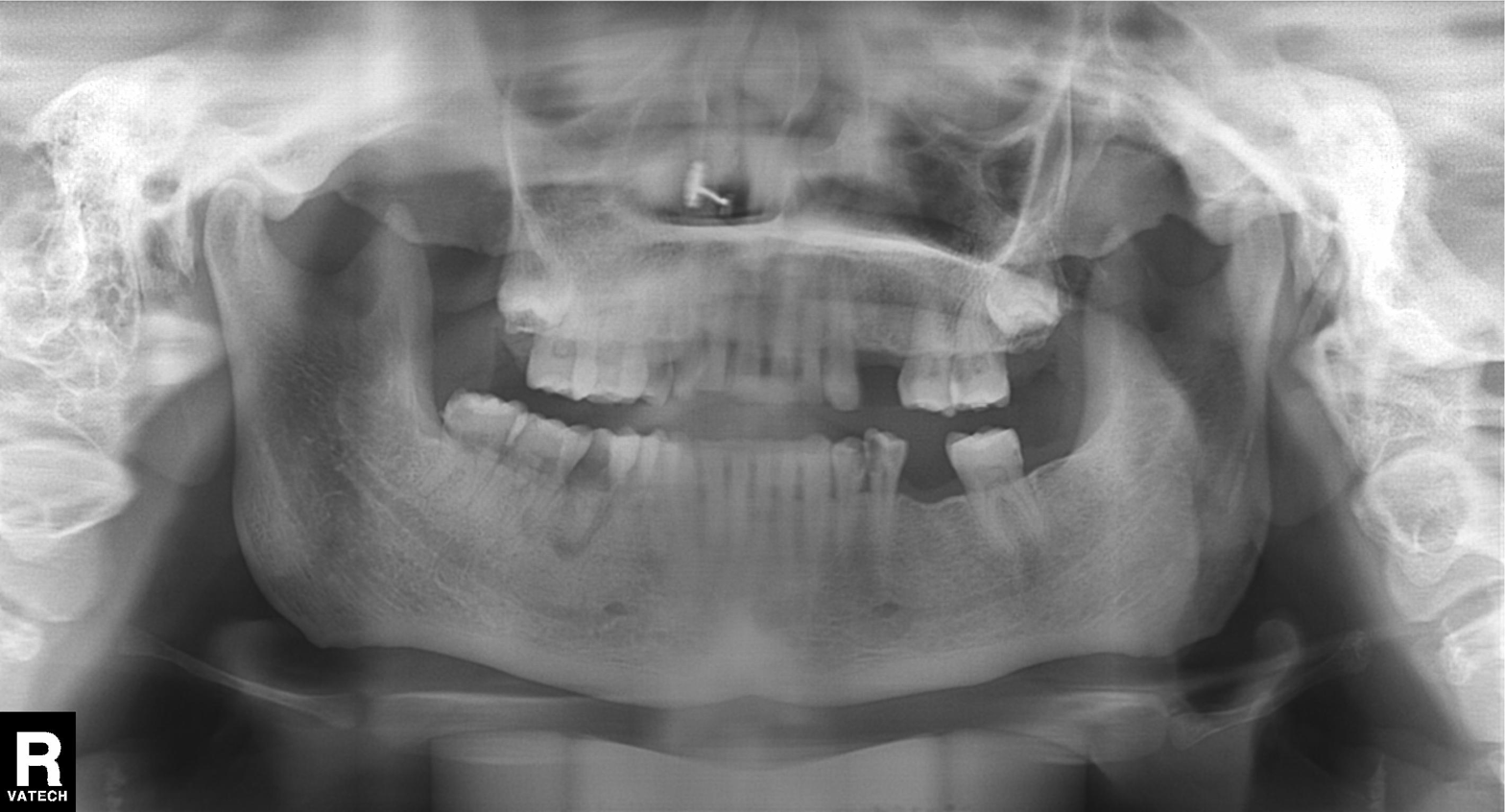
Panoramic dental radiograph (orthopantomogram). Finding: alveolar bone loss.